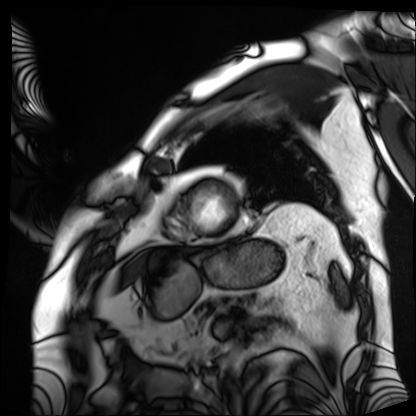
Q: What kind of scan is this?
A: Cardiac MRI.
Subject group: patient.